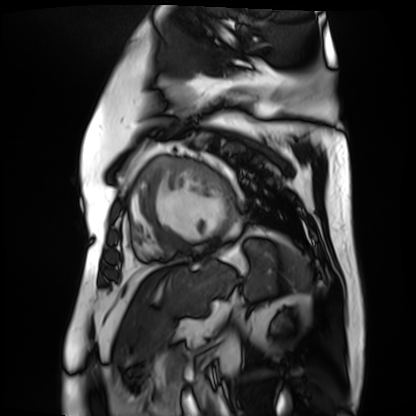
Q: What kind of scan is this?
A: Cardiac MR image of the myocardium.
Subject cohort: cardiac patient.